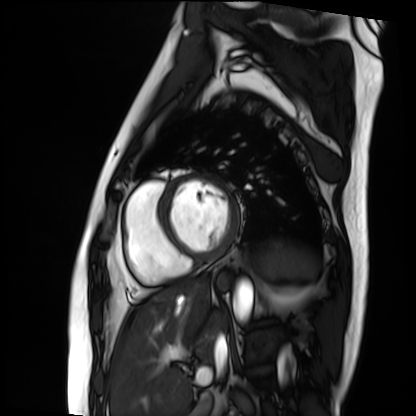
Summary:
Cardiac MRI. Subject group: patient.